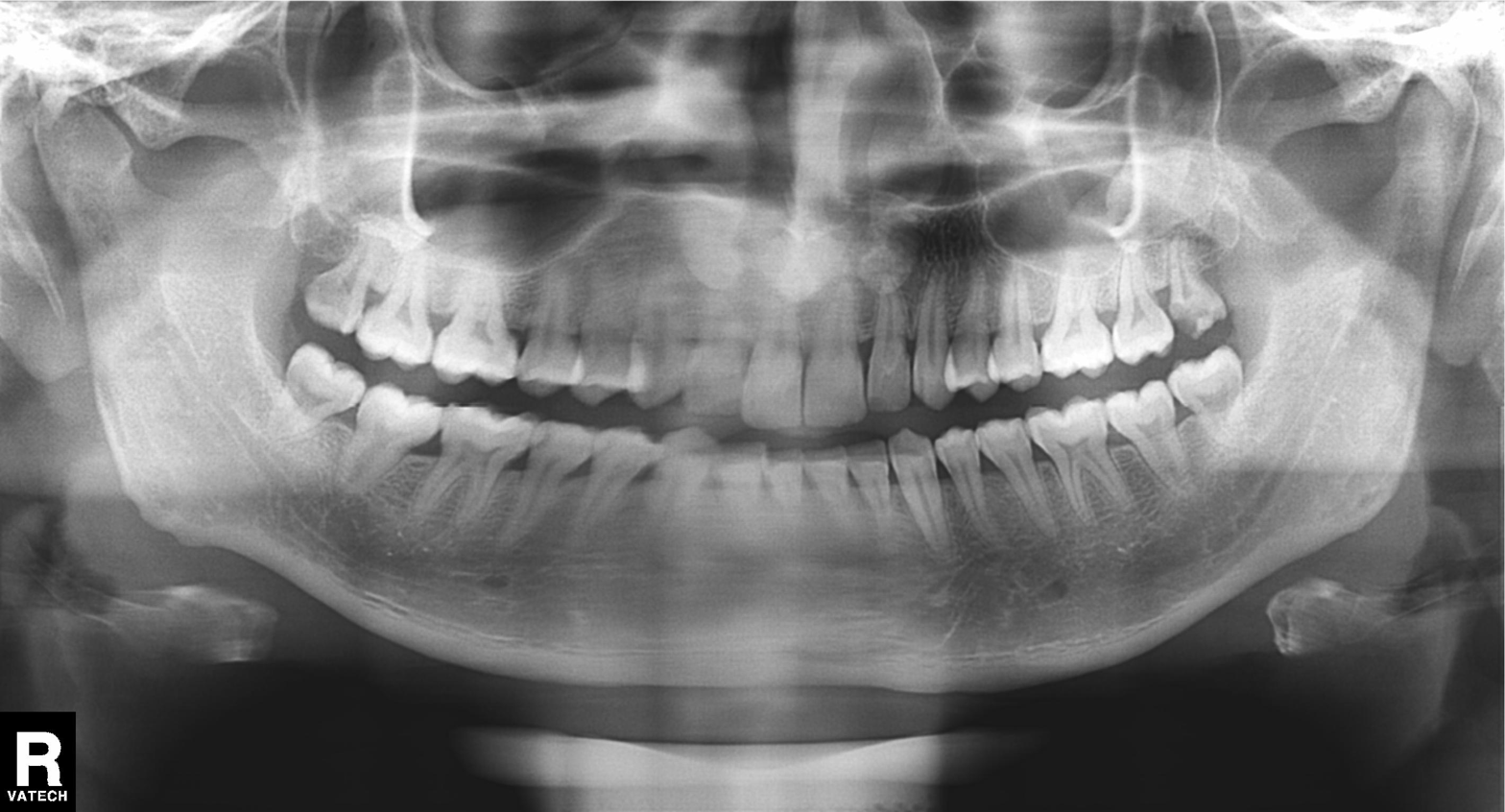
Panoramic dental radiograph (orthopantomogram).
Finding: alveolar bone loss.